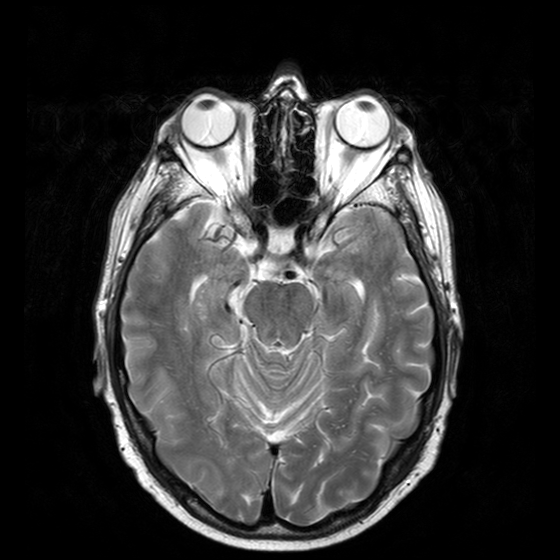
3 Tesla brain MRI.
Series: T2-weighted turbo spin echo with CLEAR.
Study: ring-enhancing brain masses.